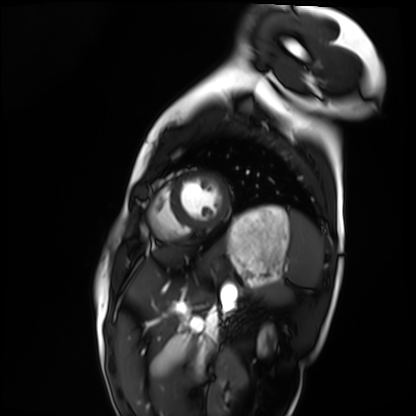
• modality: cardiac MRI
• subject group: healthy volunteer